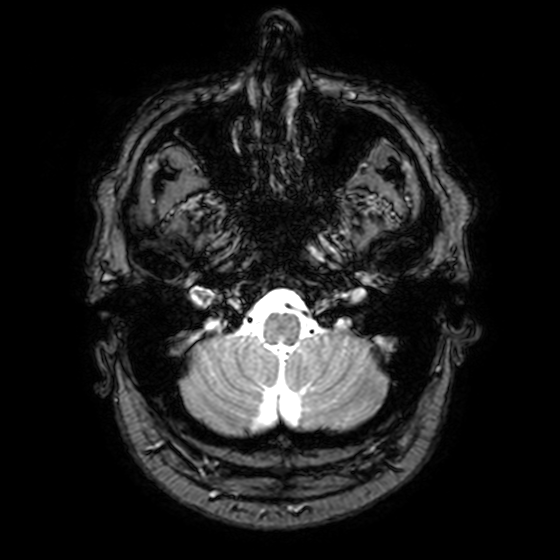
3 Tesla brain MRI. Series: T2-weighted fast field echo with SENSE. Study: ring-enhancing brain masses.